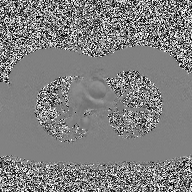
modality=2D phase-contrast cine MRI of the ascending aorta